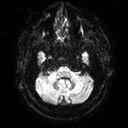
– modality — 3 Tesla brain MRI
– series — diffusion tensor imaging (medium iso)
– study — ring-enhancing brain masses